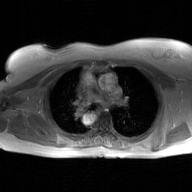
modality: 2D phase-contrast cine MRI of the ascending aorta, GAN super-resolution reconstruction.